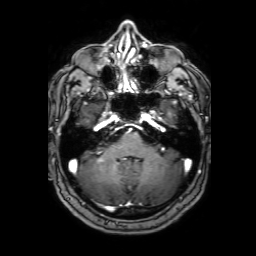
3 Tesla brain MRI. Series: 3D T1-weighted with SENSE. Study: ring-enhancing brain masses.